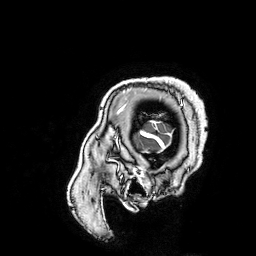
Summary:
3 Tesla brain MRI. Series: 3D T1-weighted turbo field echo with SENSE. Study: ring-enhancing brain masses.